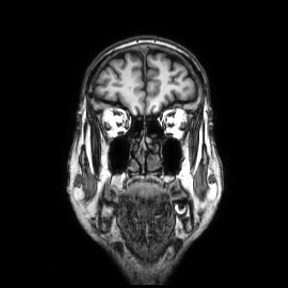
- modality — 3 Tesla brain MRI
- series — coronal
- study — ring-enhancing brain masses